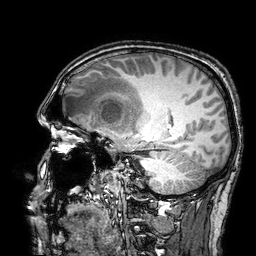
modality = 3 Tesla brain MRI | series = 3D T1-weighted turbo field echo with SENSE | study = ring-enhancing brain masses.